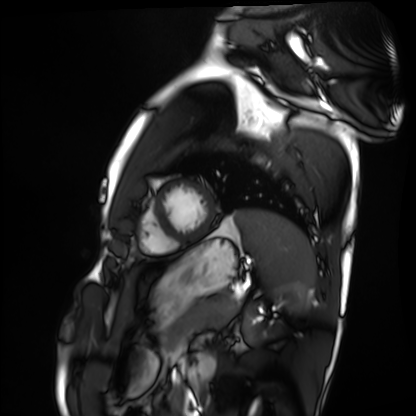
Cardiac MRI.
Subject group: healthy volunteer.